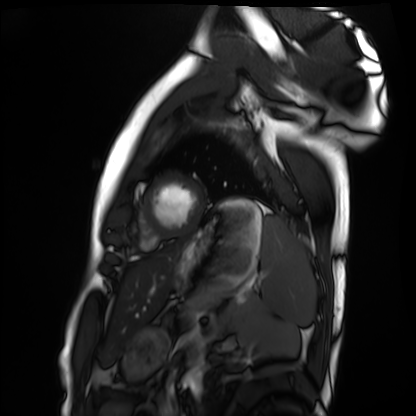
modality: cardiac MRI
cohort: healthy volunteer